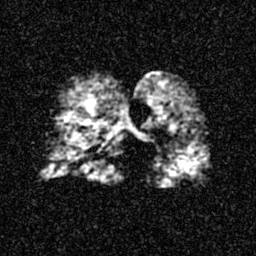
Hyperpolarized 129Xe ventilation MRI of the lungs. SNR level 4 of 8 (the deposit holds this scan as its native image and as seven SNR-degraded versions).